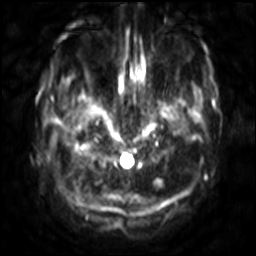
3 Tesla brain MRI. Series: diffusion-weighted imaging with SENSE (WIP). Study: ring-enhancing brain masses.